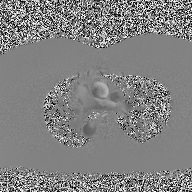
Summary: 2D phase-contrast cine MRI of the ascending aorta, high-resolution GRAPPA acquisition.